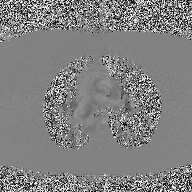
2D phase-contrast cine MRI of the ascending aorta, high-resolution GRAPPA acquisition.